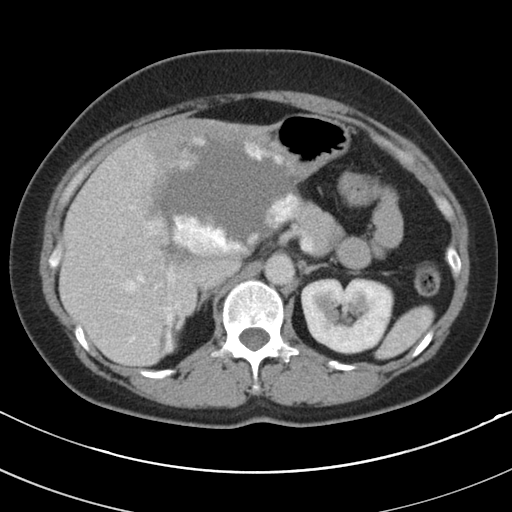
Multiphase abdominal CT, liver, portal venous phase. Patient: female, age 49.